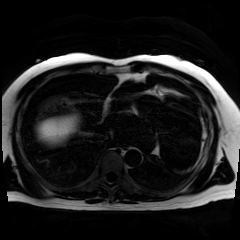
modality = chemical-shift-encoded cardiac MRI.